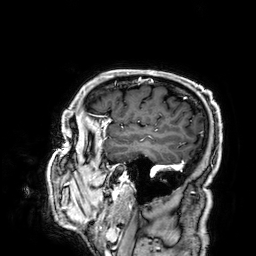
Case:
– modality — 3 Tesla brain MRI
– series — 3D T1-weighted
– study — ring-enhancing brain masses